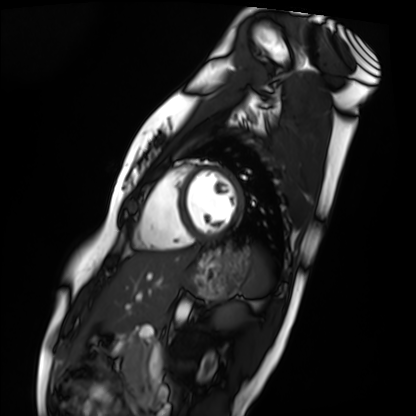
Q: What kind of scan is this?
A: Cardiac MRI.
Subject group: healthy volunteer.